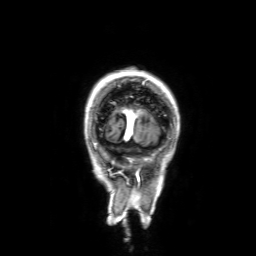
<record>
  <modality>
    <type>brain MRI</type>
    <field_strength>3T</field_strength>
  </modality>
  <series>3D T1-weighted with SENSE</series>
  <study_topic>ring-enhancing brain masses</study_topic>
</record>